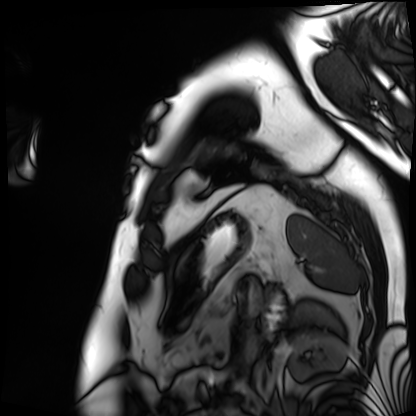
Q: What kind of scan is this?
A: Cardiac MRI.
Subject group: patient.